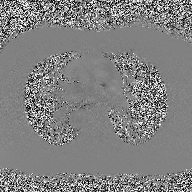
{
  "modality": {
    "type": "2D phase-contrast cine MRI",
    "region": "ascending aorta",
    "reconstruction": "high-resolution GRAPPA acquisition"
  }
}